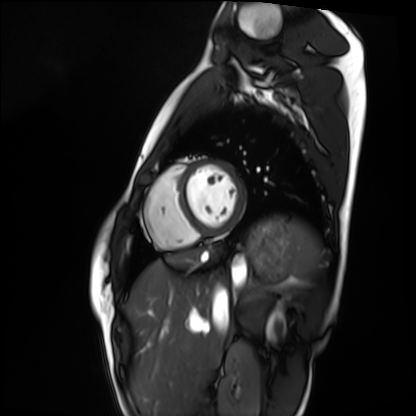
Cardiac MRI. Subject group: healthy volunteer.